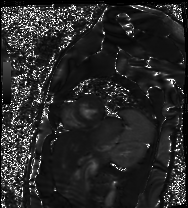
modality: cardiac MR image of the myocardium
cohort: healthy volunteer